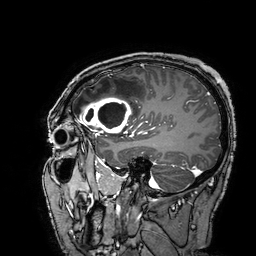
modality = 3 Tesla brain MRI
series = 3D T1-weighted turbo field echo with SENSE
study = ring-enhancing brain masses